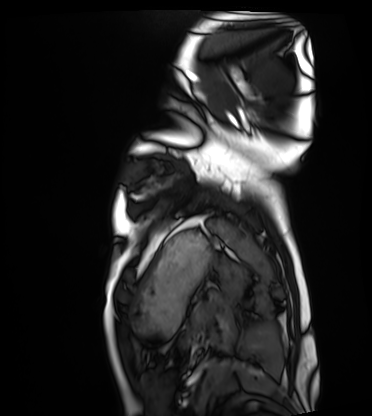
  modality: cardiac MRI
  cohort: healthy volunteer